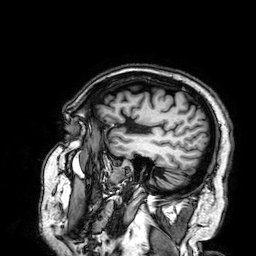
3 Tesla brain MRI. Series: 3D T1-weighted. Study: ring-enhancing brain masses.